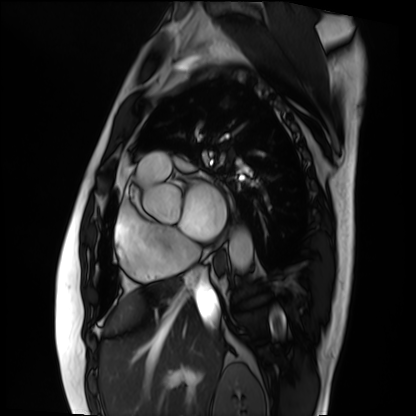
modality: cardiac MRI; subject group: patient.